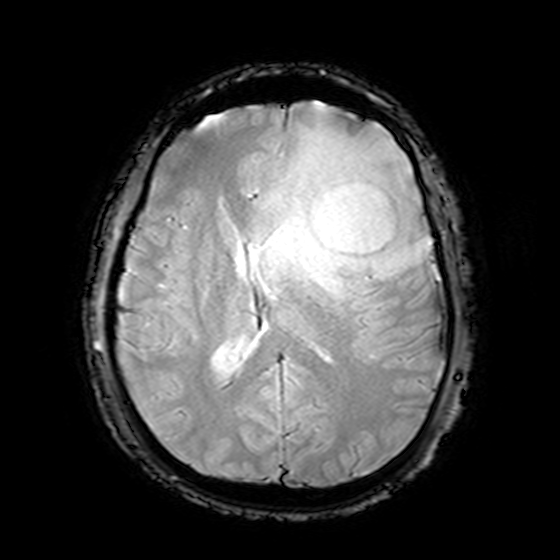
3 Tesla brain MRI.
Series: T2-weighted fast field echo.
Study: ring-enhancing brain masses.